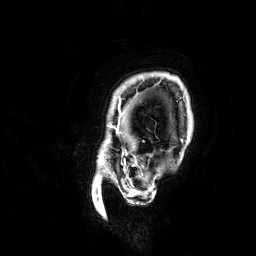
{"modality": {"type": "brain MRI", "field_strength": "3T"}, "study_topic": "ring-enhancing brain masses"}